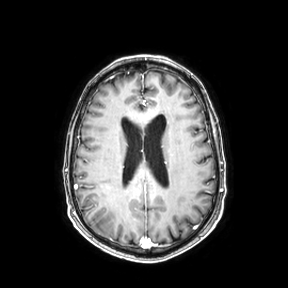
3 Tesla brain MRI. Study: ring-enhancing brain masses.